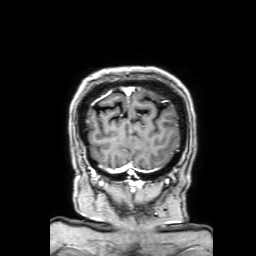
3 Tesla brain MRI.
Series: 3D T1-weighted with SENSE.
Study: ring-enhancing brain masses.